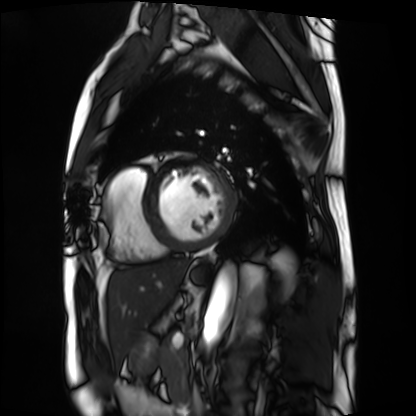
Cardiac MRI. Subject group: patient.